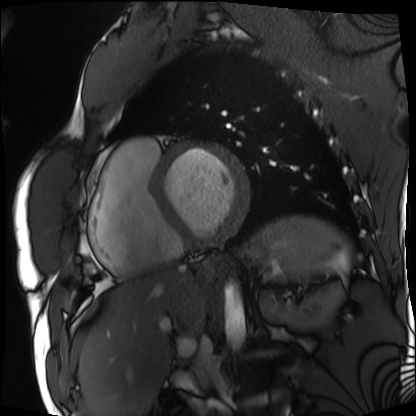
modality=cardiac MRI; subject group=patient.